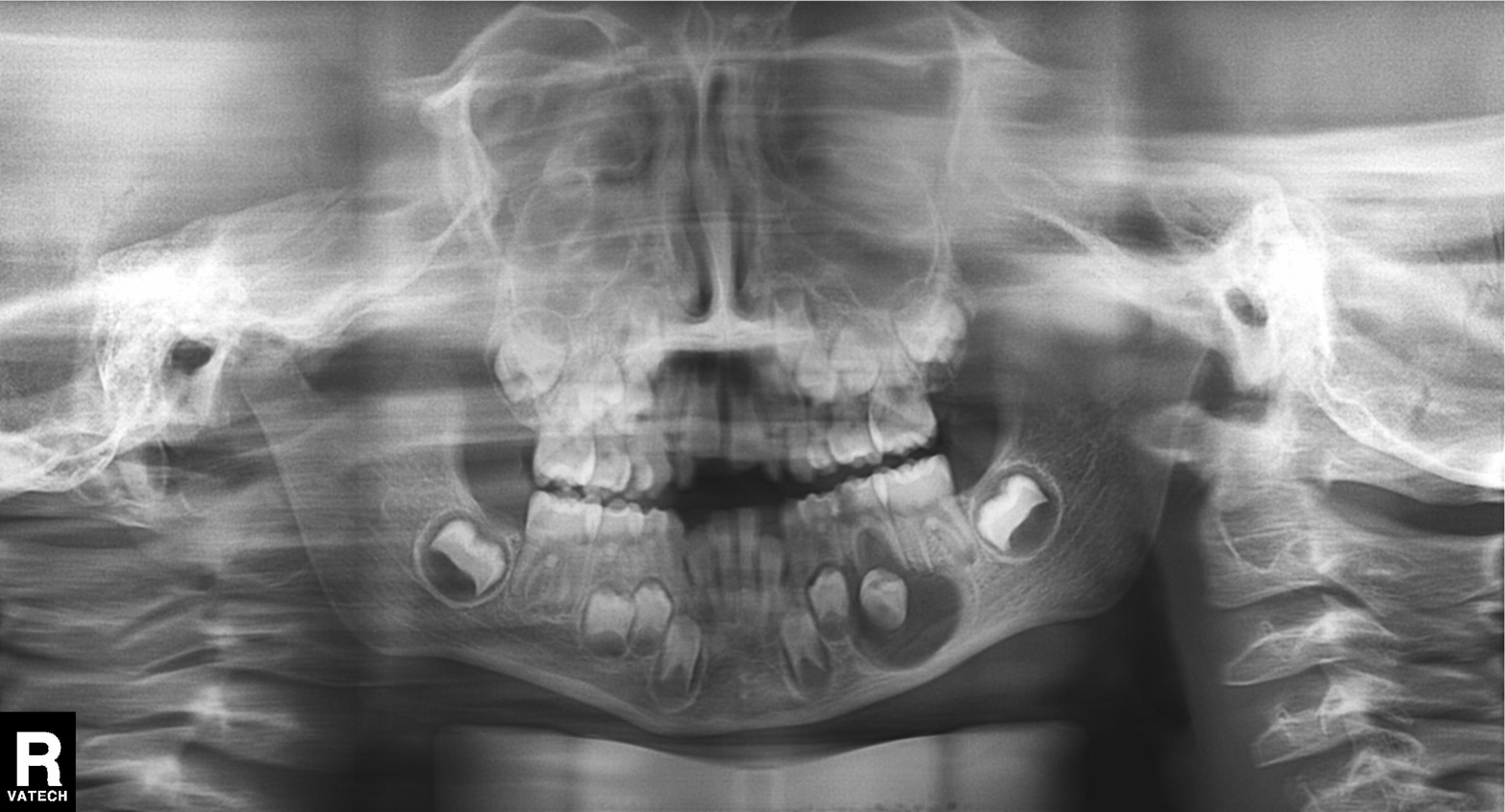
Panoramic dental radiograph (orthopantomogram).
Finding: alveolar bone loss.